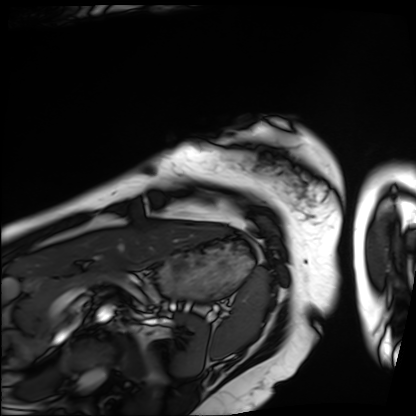
– modality: cardiac MRI
– subject group: patient